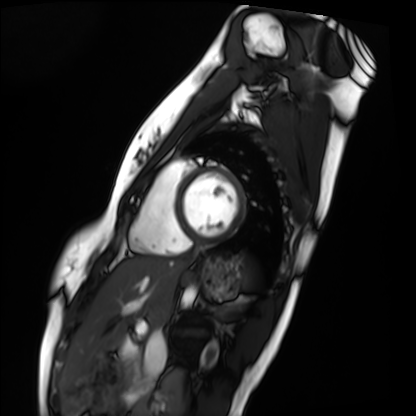
{
  "modality": "cardiac MRI",
  "cohort": "healthy volunteer"
}